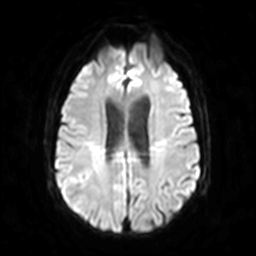
3 Tesla brain MRI.
Series: diffusion-weighted imaging.
Study: ring-enhancing brain masses.